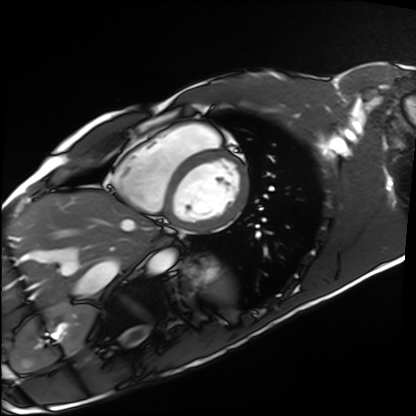
modality — cardiac MRI; subject group — healthy volunteer.